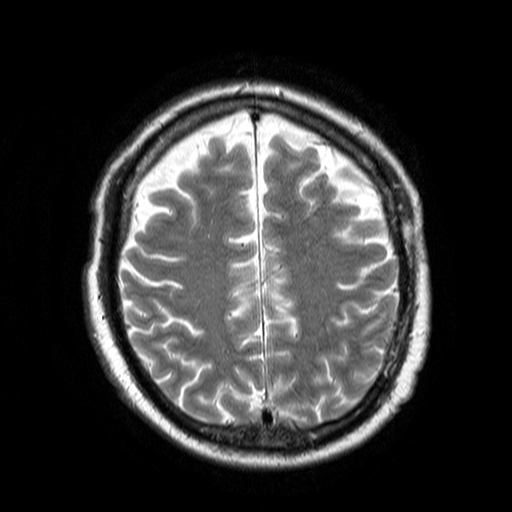
| field | value |
|---|---|
| modality | 3 Tesla brain MRI |
| series | T2-weighted turbo spin echo |
| study | ring-enhancing brain masses |